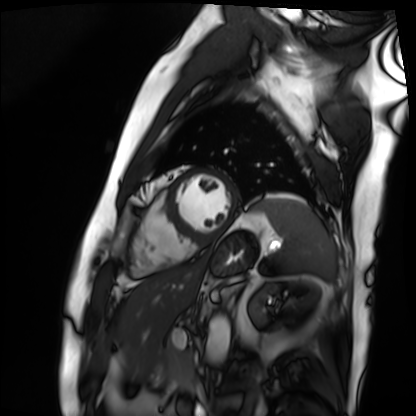
Cardiac MRI. Subject group: patient.